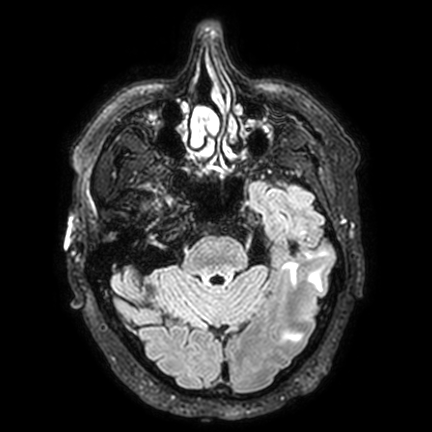
<study>
<modality>
  <type>brain MRI</type>
  <field_strength>3T</field_strength>
</modality>
<series>FLAIR VISTA with SENSE</series>
<study_topic>ring-enhancing brain masses</study_topic>
</study>